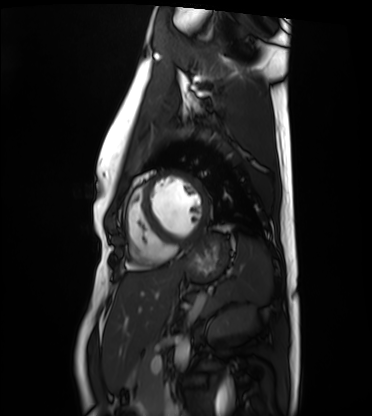
Case:
* modality: cardiac MRI
* subject group: healthy volunteer